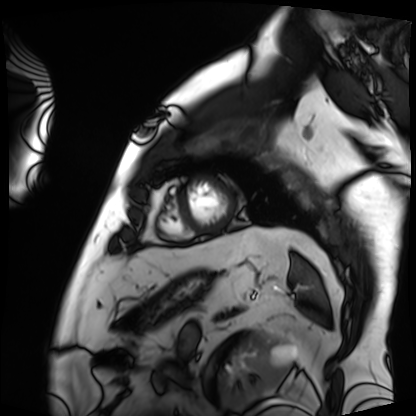
Summary: Cardiac MRI. Subject group: patient.